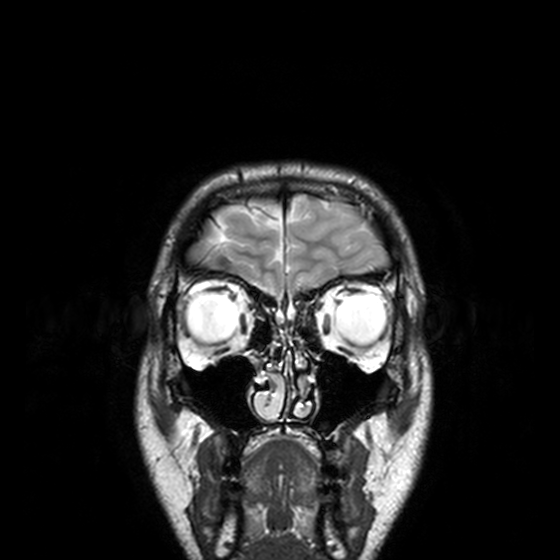
3 Tesla brain MRI. Series: T2-weighted turbo spin echo, 3 mm. Study: ring-enhancing brain masses.